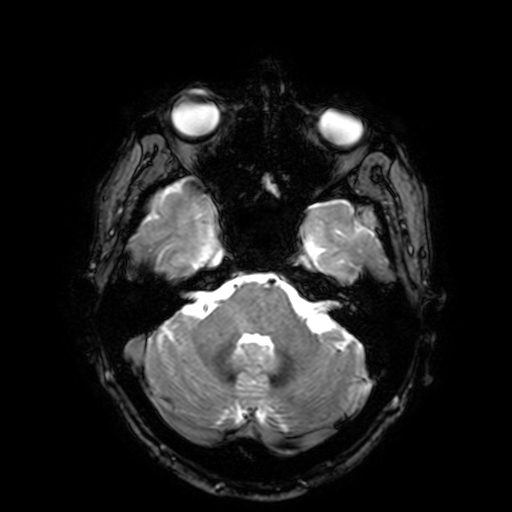
| field | value |
|---|---|
| modality | 3 Tesla brain MRI |
| series | T2-weighted fast field echo with SENSE |
| study | ring-enhancing brain masses |